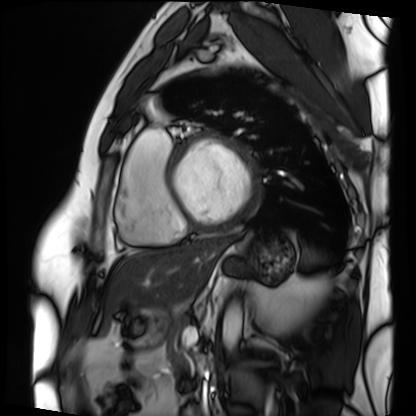
{
  "modality": "cardiac MRI",
  "cohort": "patient"
}